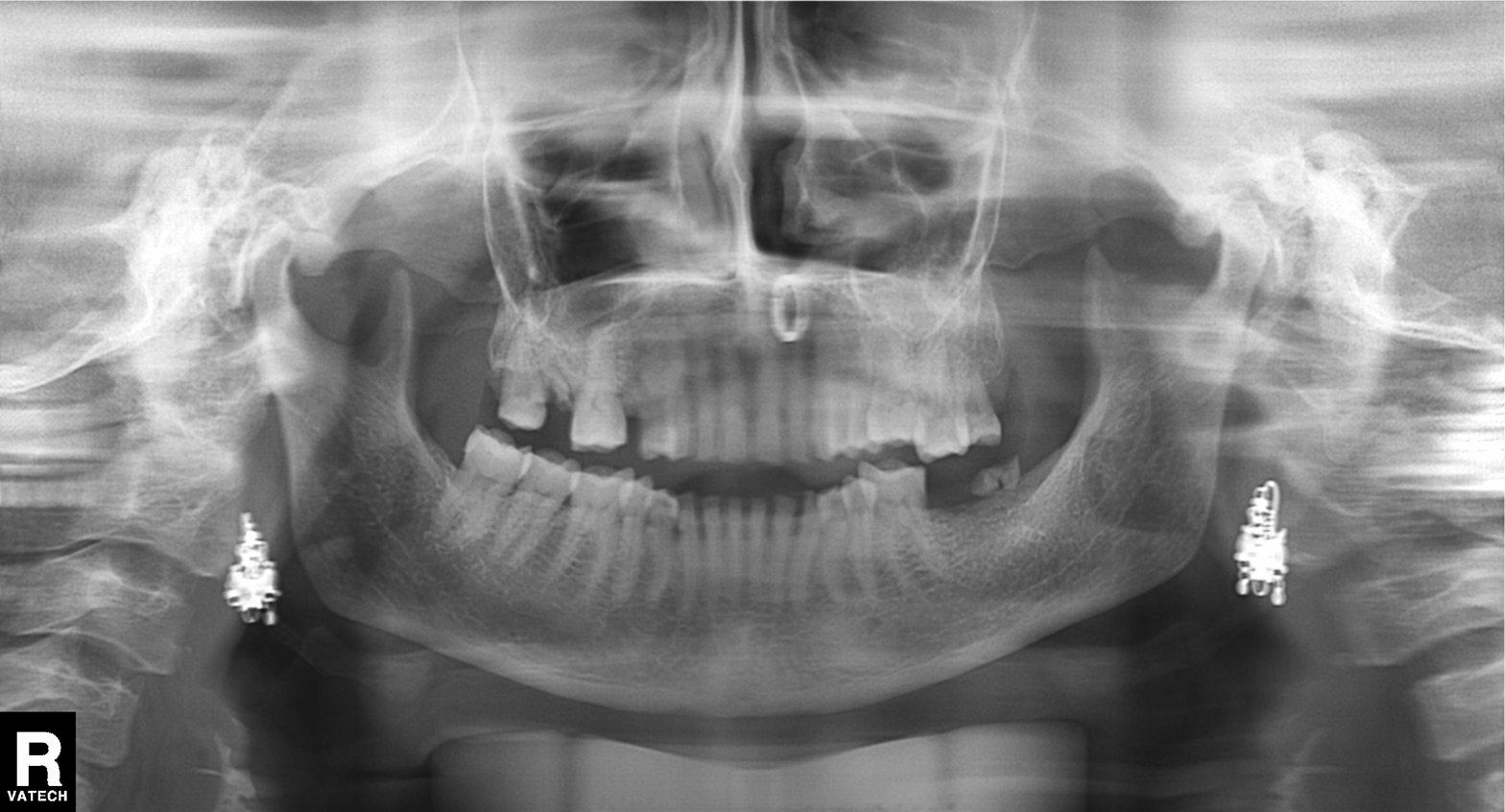
Panoramic dental radiograph (orthopantomogram). Finding: alveolar bone loss.